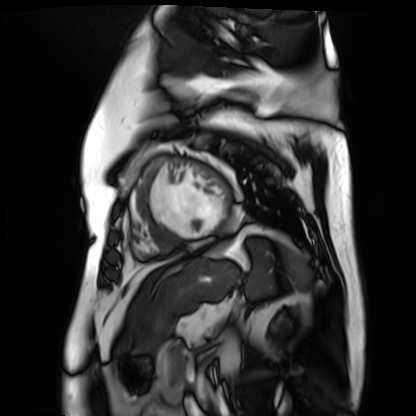
{
  "modality": "cardiac MR image of the myocardium",
  "cohort": "cardiac patient"
}